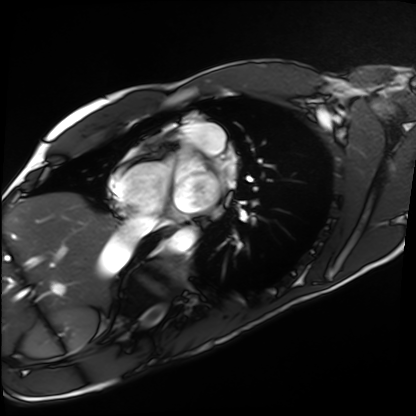
modality — cardiac MRI
subject group — healthy volunteer